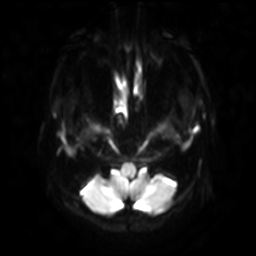
3 Tesla brain MRI.
Series: diffusion-weighted imaging with SENSE (WIP).
Study: ring-enhancing brain masses.